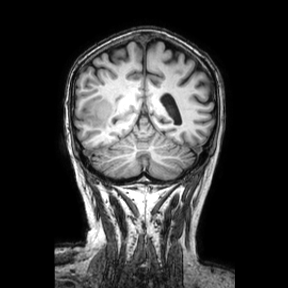
Summary:
3 Tesla brain MRI. Series: coronal. Study: ring-enhancing brain masses.